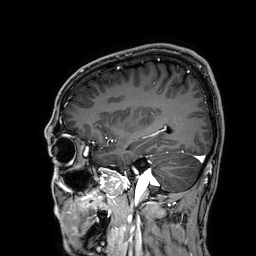
– modality · 3 Tesla brain MRI
– series · 3D T1-weighted
– study · ring-enhancing brain masses